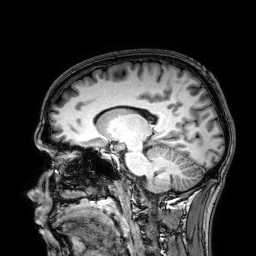
Summary:
3 Tesla brain MRI. Study: ring-enhancing brain masses.